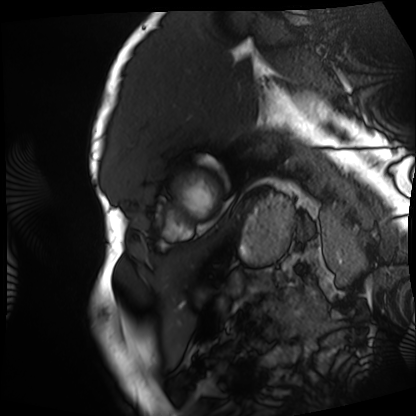
Cardiac MRI. Subject group: patient.